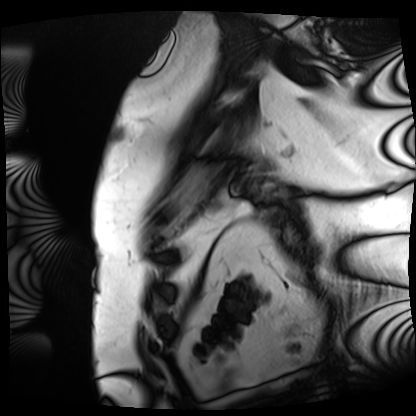
Case summary:
Cardiac MRI. Subject group: patient.